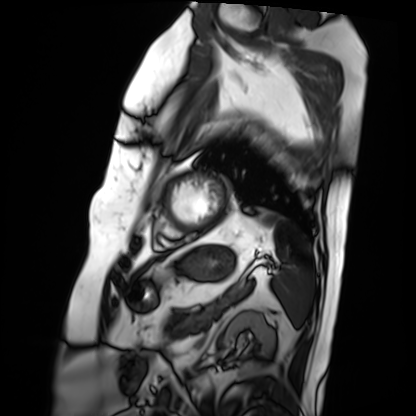
Cardiac MRI. Subject group: patient.